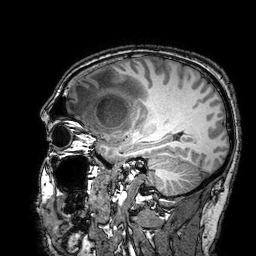
Q: What kind of scan is this?
A: 3 Tesla brain MRI.
Study: ring-enhancing brain masses.